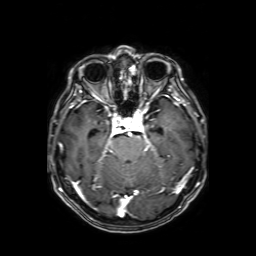
| field | value |
|---|---|
| modality | 3 Tesla brain MRI |
| series | axial T1-weighted fusion image |
| study | ring-enhancing brain masses |